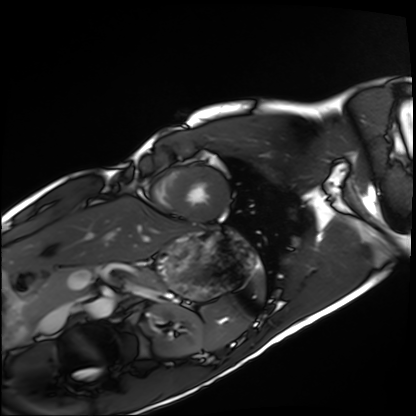
Case:
• modality · cardiac MRI
• subject group · healthy volunteer